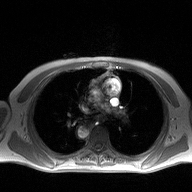
2D phase-contrast cine MRI of the ascending aorta, high-resolution GRAPPA acquisition.